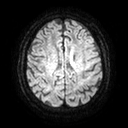
3 Tesla brain MRI. Series: diffusion tensor imaging (medium iso). Study: ring-enhancing brain masses.